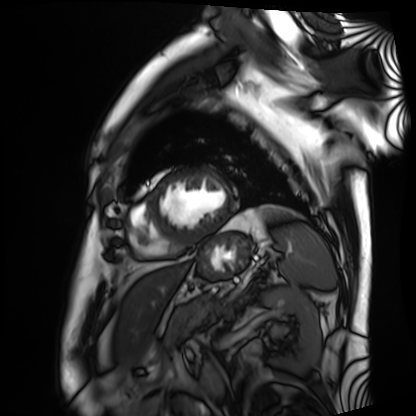
Summary: Cardiac MRI. Subject group: patient.